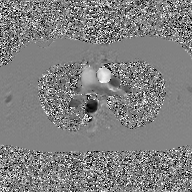
Clinical context: 2D phase-contrast cine MRI of the ascending aorta, GAN super-resolution reconstruction.